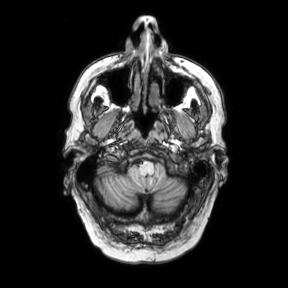
| field | value |
|---|---|
| modality | 3 Tesla brain MRI |
| series | axial |
| study | ring-enhancing brain masses |